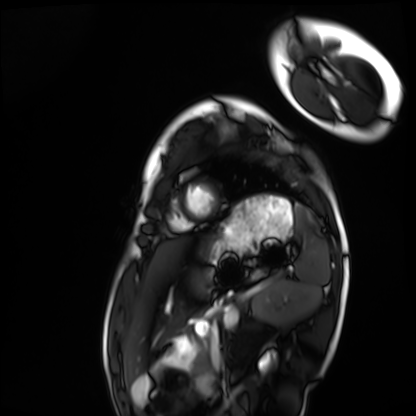
modality: cardiac MRI, subject group: healthy volunteer.